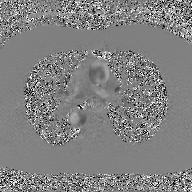
<scan>
  <modality>
    <type>2D phase-contrast cine MRI</type>
    <region>ascending aorta</region>
    <reconstruction>GAN super-resolution reconstruction</reconstruction>
  </modality>
</scan>